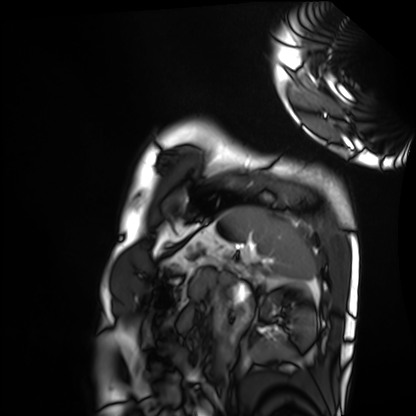
Case summary: Cardiac MRI. Subject group: healthy volunteer.